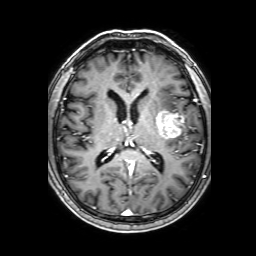
Q: What kind of scan is this?
A: 3 Tesla brain MRI.
Q: Series?
A: 3D T1-weighted with SENSE.
Study: ring-enhancing brain masses.